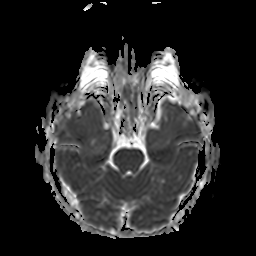
3 Tesla brain MRI. Series: apparent diffusion coefficient (ADC) map. Study: ring-enhancing brain masses.